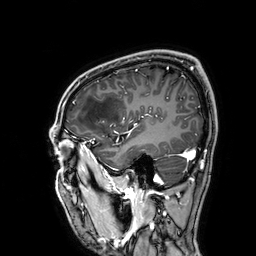
Summary:
3 Tesla brain MRI. Series: 3D T1-weighted. Study: ring-enhancing brain masses.